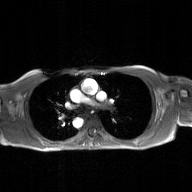
Q: What kind of scan is this?
A: 2D phase-contrast cine MRI of the ascending aorta, GAN super-resolution reconstruction.